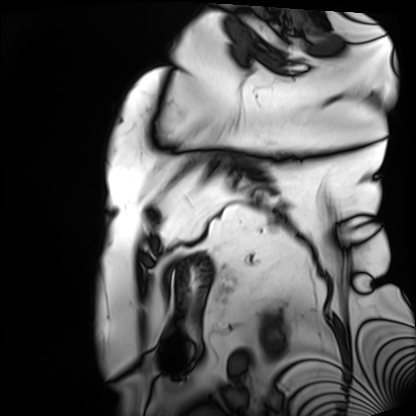
Case:
• modality — cardiac MRI
• subject group — patient